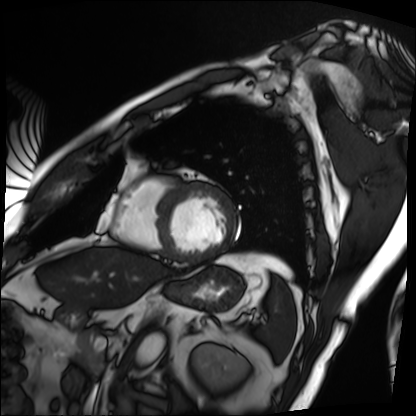
Summary: Cardiac MRI. Subject group: patient.